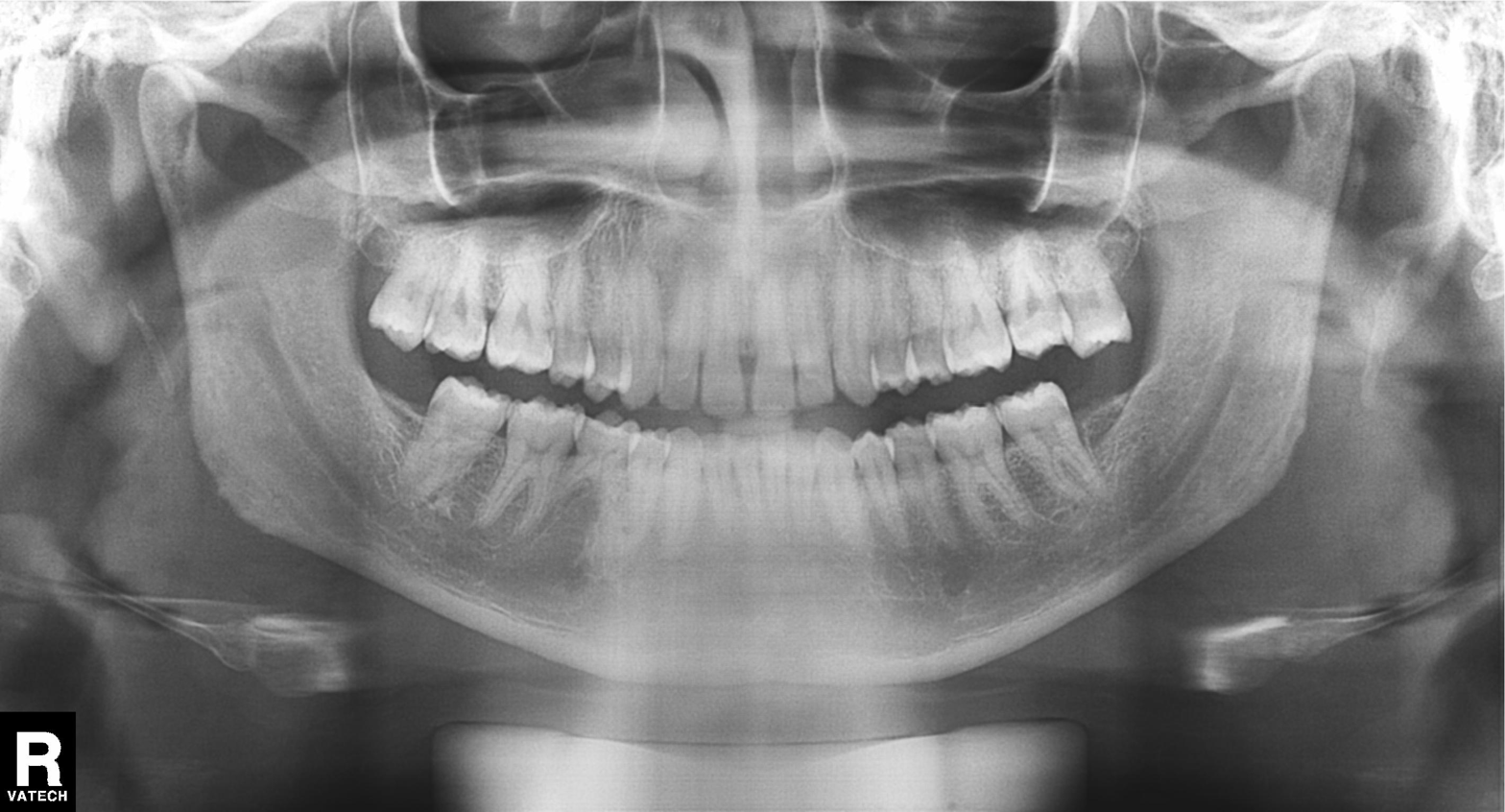
Findings:
• modality: panoramic dental radiograph (orthopantomogram)
• finding: dental caries (cavities)